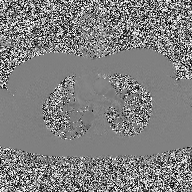
2D phase-contrast cine MRI of the ascending aorta, high-resolution GRAPPA acquisition.